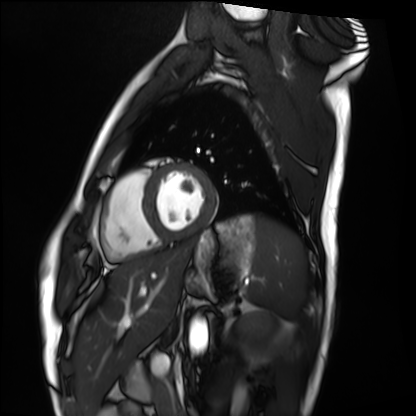
Q: What kind of scan is this?
A: Cardiac MRI.
Subject group: healthy volunteer.